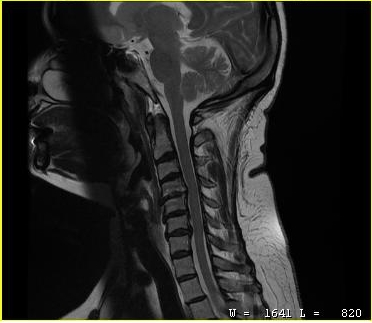
| field | value |
|---|---|
| modality | MRI of the cervical spine |
| study | cervical spondylosis |